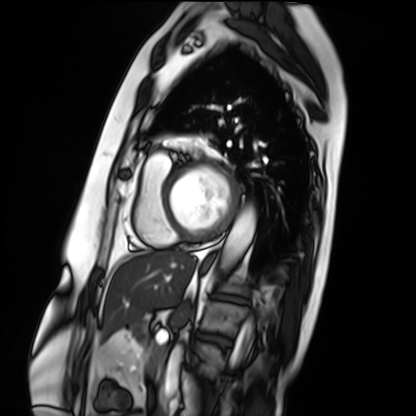
modality — cardiac MRI | subject group — patient.